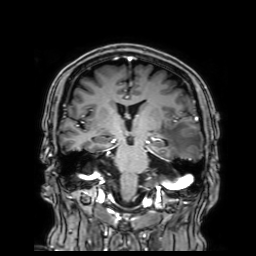
{
  "modality": {
    "type": "brain MRI",
    "field_strength": "3T"
  },
  "series": "3D T1-weighted with SENSE",
  "study_topic": "ring-enhancing brain masses"
}